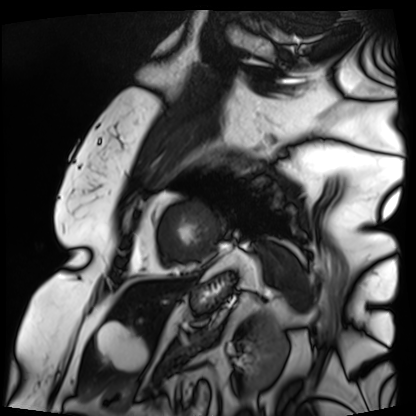
Cardiac MRI. Subject group: patient.